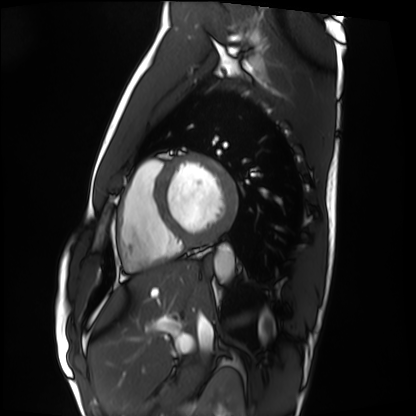
Case summary: Cardiac MRI. Subject group: healthy volunteer.